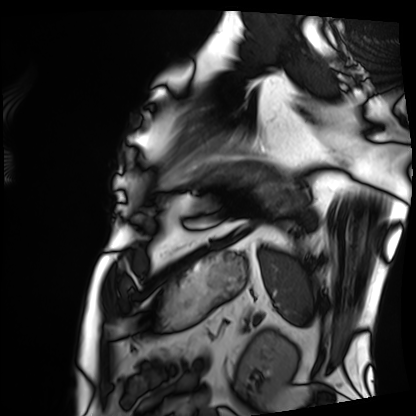
Case summary: Cardiac MRI. Subject group: patient.